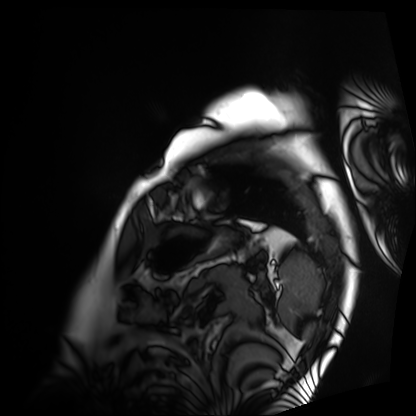
modality: cardiac MRI
subject group: patient